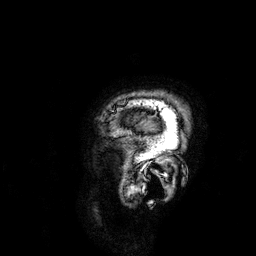
3 Tesla brain MRI. Series: 3D T1-weighted. Study: ring-enhancing brain masses.